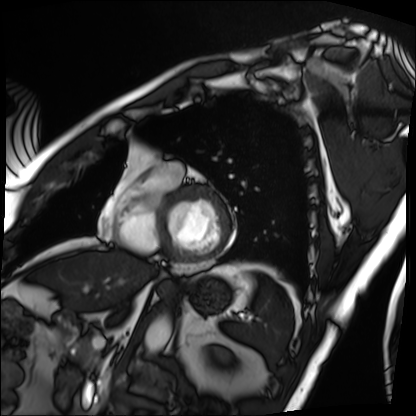
<scan>
<modality>cardiac MRI</modality>
<cohort>patient</cohort>
</scan>